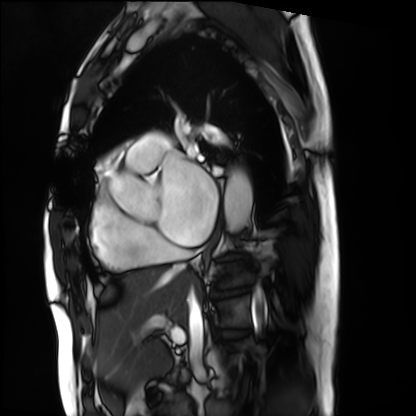
<study>
  <modality>cardiac MRI</modality>
  <cohort>patient</cohort>
</study>